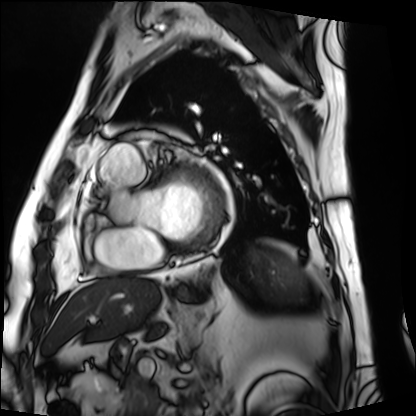
Cardiac MRI. Subject group: patient.